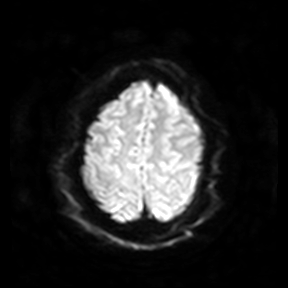
3 Tesla brain MRI. Series: diffusion-weighted imaging. Study: ring-enhancing brain masses.